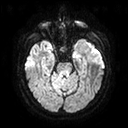
3 Tesla brain MRI. Series: diffusion tensor imaging (medium iso). Study: ring-enhancing brain masses.